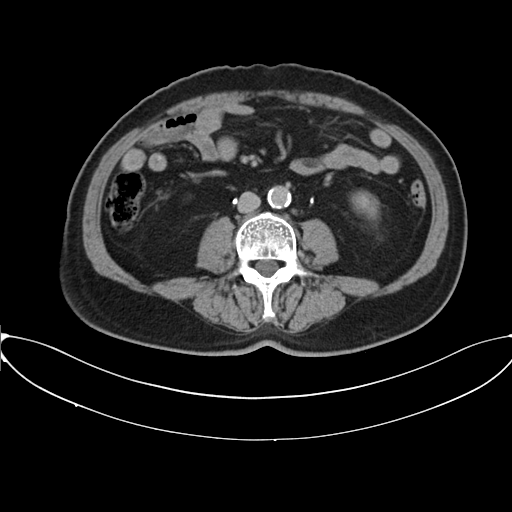
Multiphase abdominal CT, liver, delayed phase.
Patient: male, age 66.